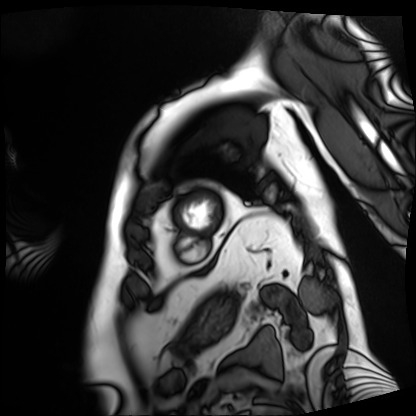
Cardiac MRI.
Subject group: patient.